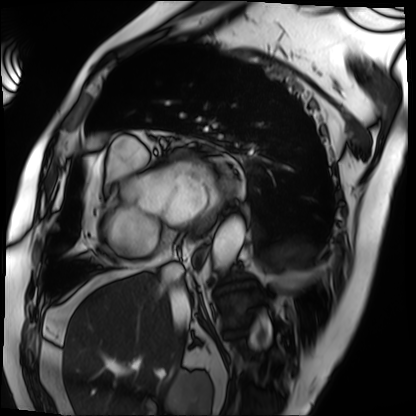
Summary: Cardiac MRI. Subject group: patient.